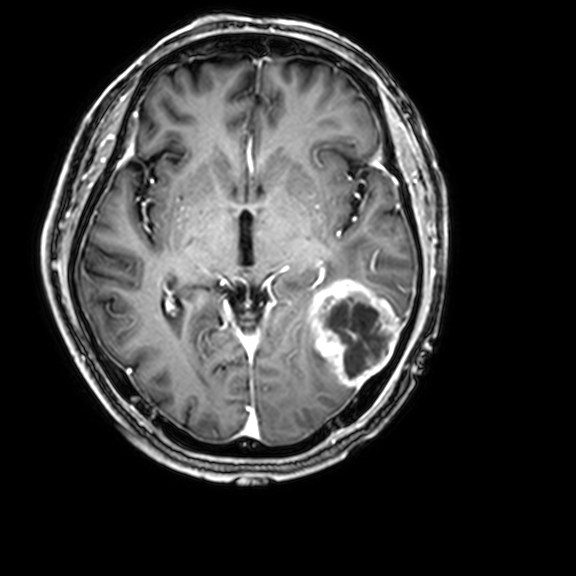
3 Tesla brain MRI.
Series: 3D T1-weighted with CLEAR.
Study: ring-enhancing brain masses.